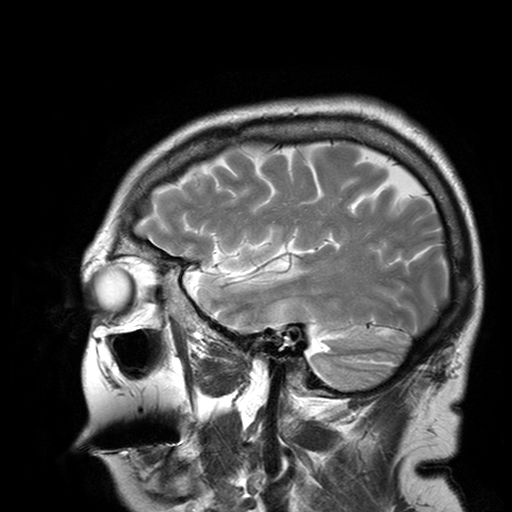
3 Tesla brain MRI.
Series: T2-weighted turbo spin echo with SENSE.
Study: ring-enhancing brain masses.